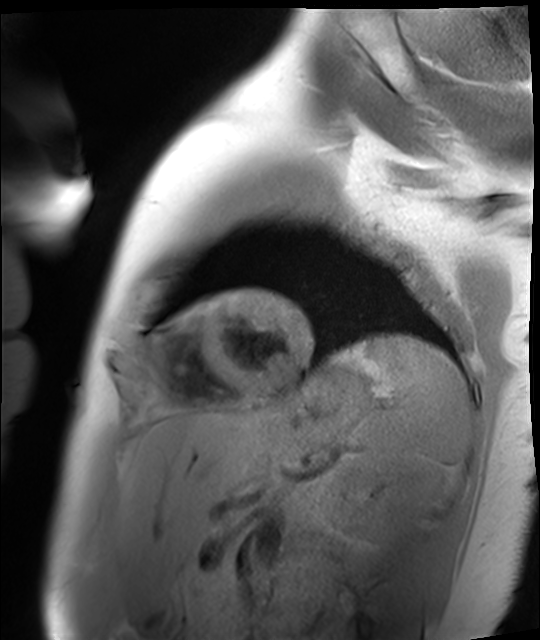
{
  "modality": "cardiac MR image of the myocardium",
  "cohort": "healthy volunteer"
}